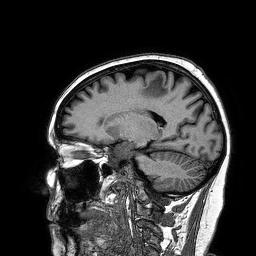
Q: What kind of scan is this?
A: 3 Tesla brain MRI.
Study: ring-enhancing brain masses.